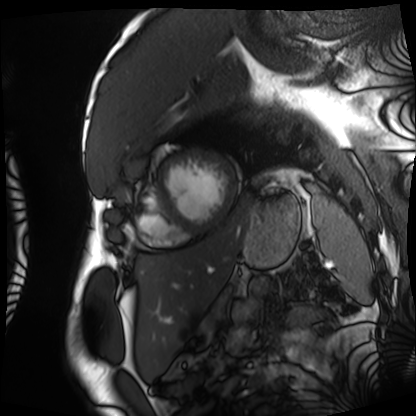
<record>
<modality>cardiac MRI</modality>
<cohort>patient</cohort>
</record>